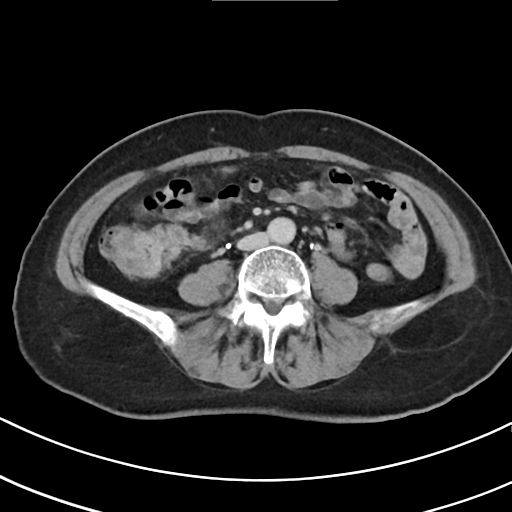
- modality · multiphase abdominal CT, liver, delayed phase
- patient · female, age 69
- history · viral hepatitis